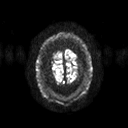
Q: What kind of scan is this?
A: 3 Tesla brain MRI.
Q: Series?
A: Diffusion tensor imaging (medium iso).
Study: ring-enhancing brain masses.